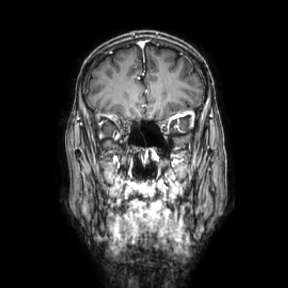
Summary:
3 Tesla brain MRI. Series: coronal. Study: ring-enhancing brain masses.